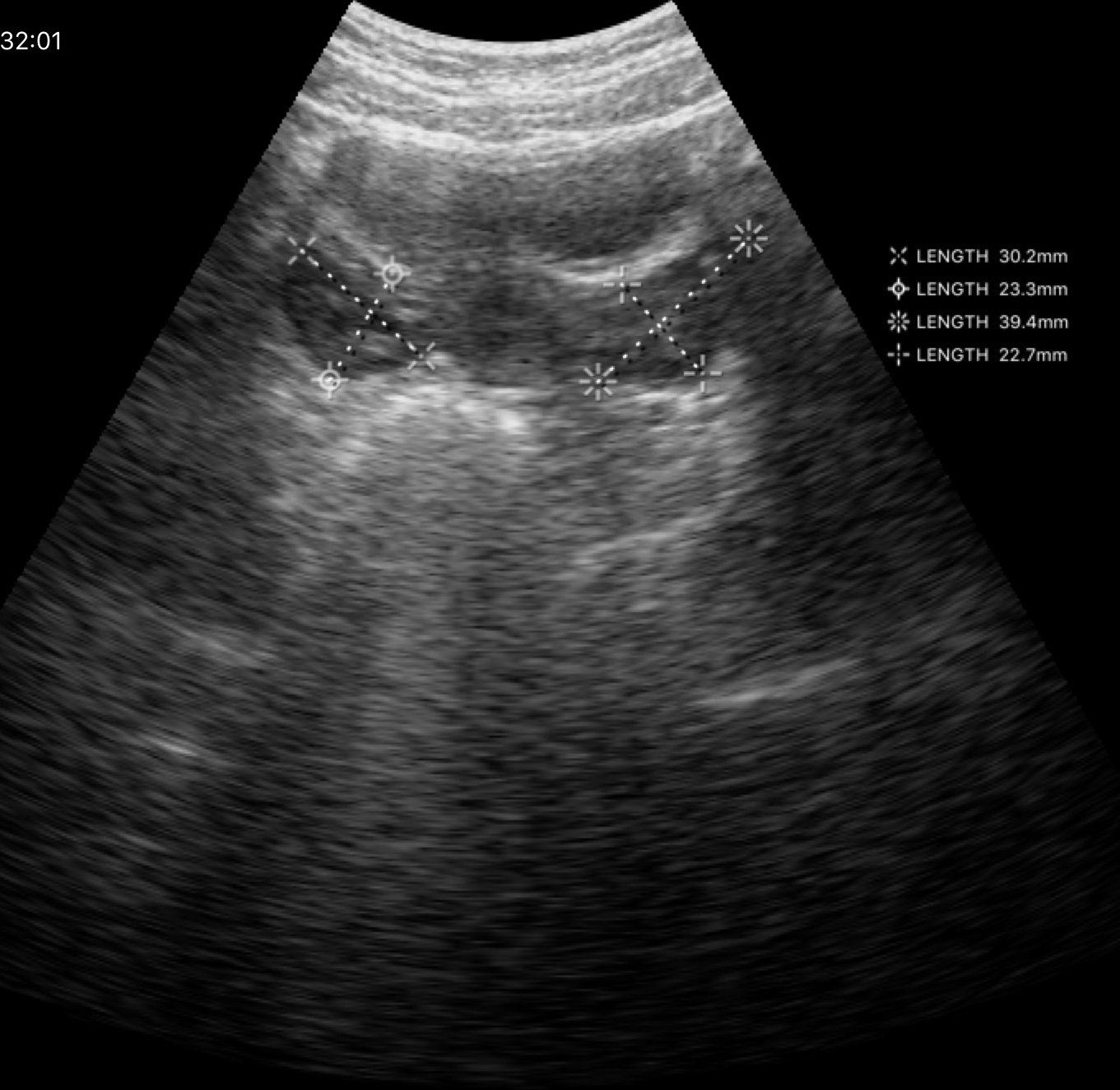
{"modality": {"type": "genitourinary ultrasound"}}